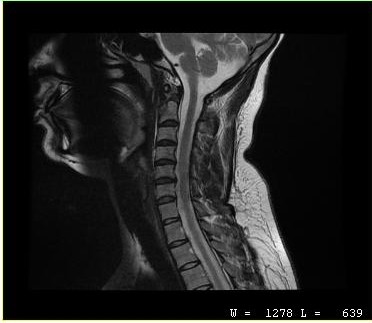
Summary: MRI of the cervical spine. Study: cervical spondylosis.